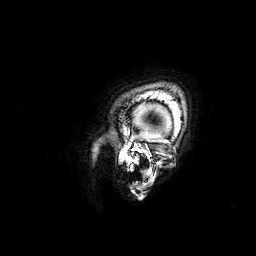
3 Tesla brain MRI. Series: 3D T1-weighted. Study: ring-enhancing brain masses.